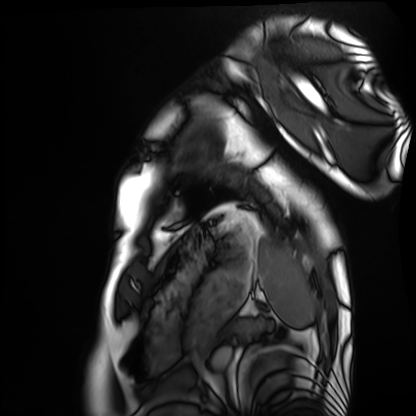
Cardiac MRI. Subject group: healthy volunteer.